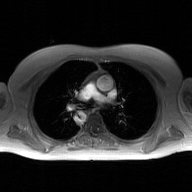
2D phase-contrast cine MRI of the ascending aorta, GAN super-resolution reconstruction.